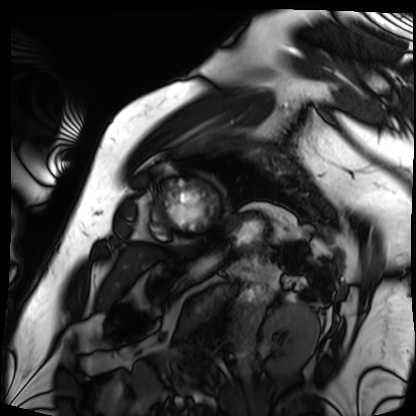
modality: cardiac MRI
cohort: patient